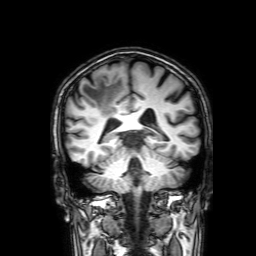
modality: 3 Tesla brain MRI
series: 3D T1-weighted with SENSE
study: ring-enhancing brain masses